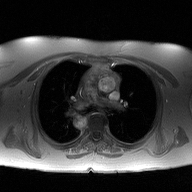
Summary:
2D phase-contrast cine MRI of the ascending aorta, high-resolution GRAPPA acquisition.